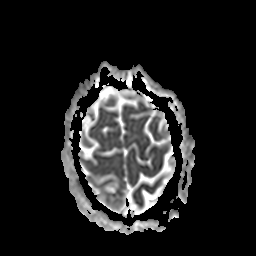
Case:
- modality · 3 Tesla brain MRI
- series · apparent diffusion coefficient (ADC) map
- study · ring-enhancing brain masses